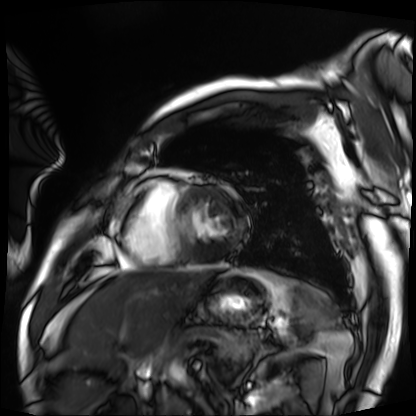
Q: What kind of scan is this?
A: Cardiac MRI.
Subject group: patient.